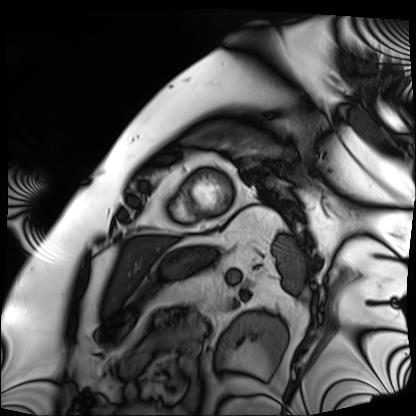
modality = cardiac MRI; subject group = patient.